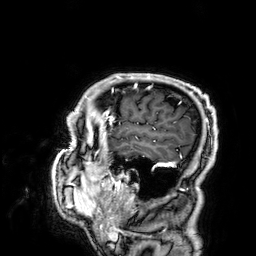
3 Tesla brain MRI. Series: 3D T1-weighted. Study: ring-enhancing brain masses.